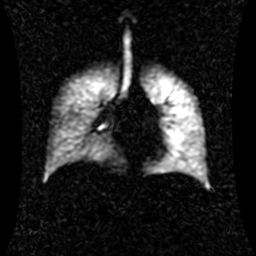
modality: hyperpolarized 129Xe ventilation MRI of the lungs | SNR level: 1 of 8 (the deposit holds this scan as its native image and as seven SNR-degraded versions).